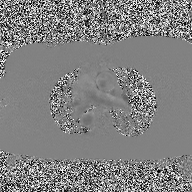
modality = 2D phase-contrast cine MRI of the ascending aorta.